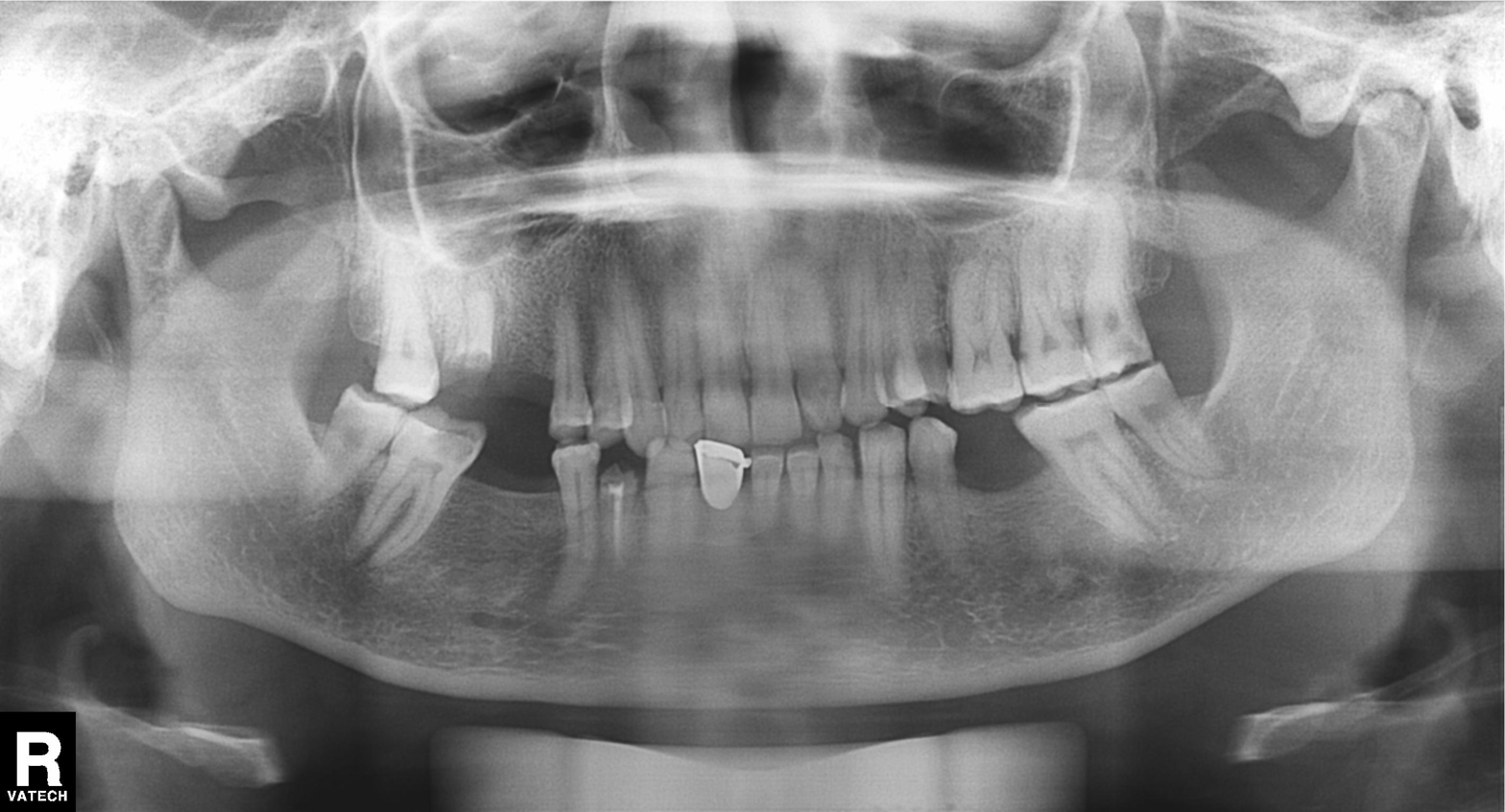
Case:
* modality: panoramic dental radiograph (orthopantomogram)
* finding: alveolar bone loss